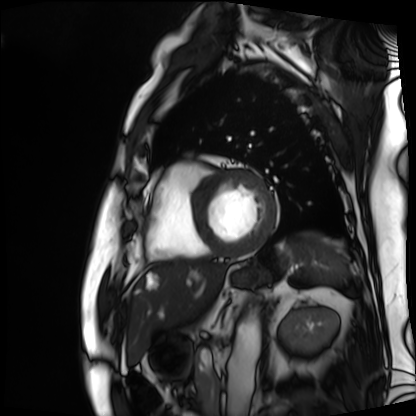
Cardiac MRI.
Subject group: patient.